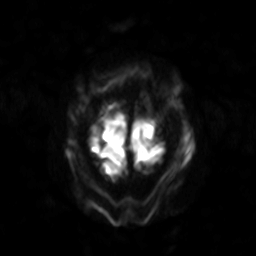
<record>
<modality>
  <type>brain MRI</type>
  <field_strength>3T</field_strength>
</modality>
<series>diffusion-weighted imaging with SENSE (WIP)</series>
<study_topic>ring-enhancing brain masses</study_topic>
</record>